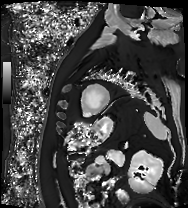
Q: What kind of scan is this?
A: Cardiac MRI.
Subject group: patient.